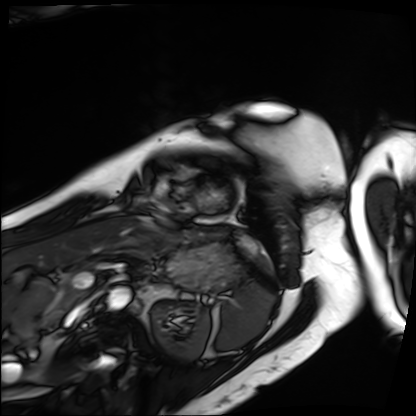
Case summary: Cardiac MRI. Subject group: patient.